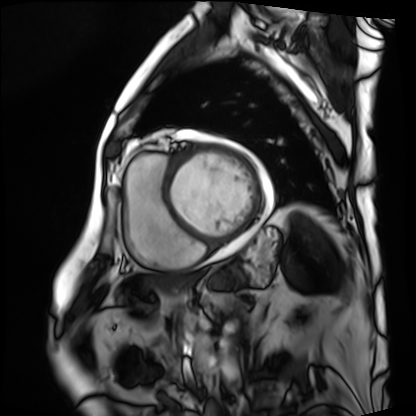
Cardiac MRI. Subject group: patient.